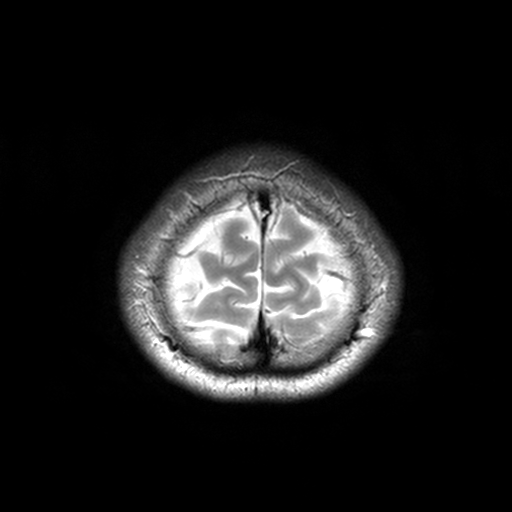
modality = 3 Tesla brain MRI
series = T2-weighted turbo spin echo, 3 mm
study = ring-enhancing brain masses